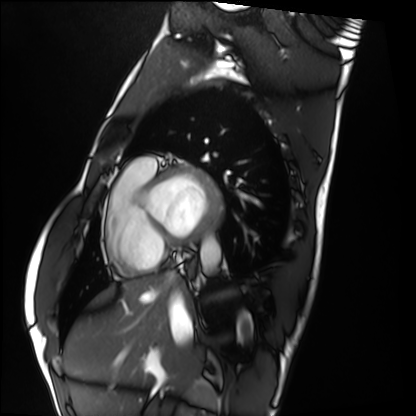
Summary: Cardiac MRI. Subject group: healthy volunteer.